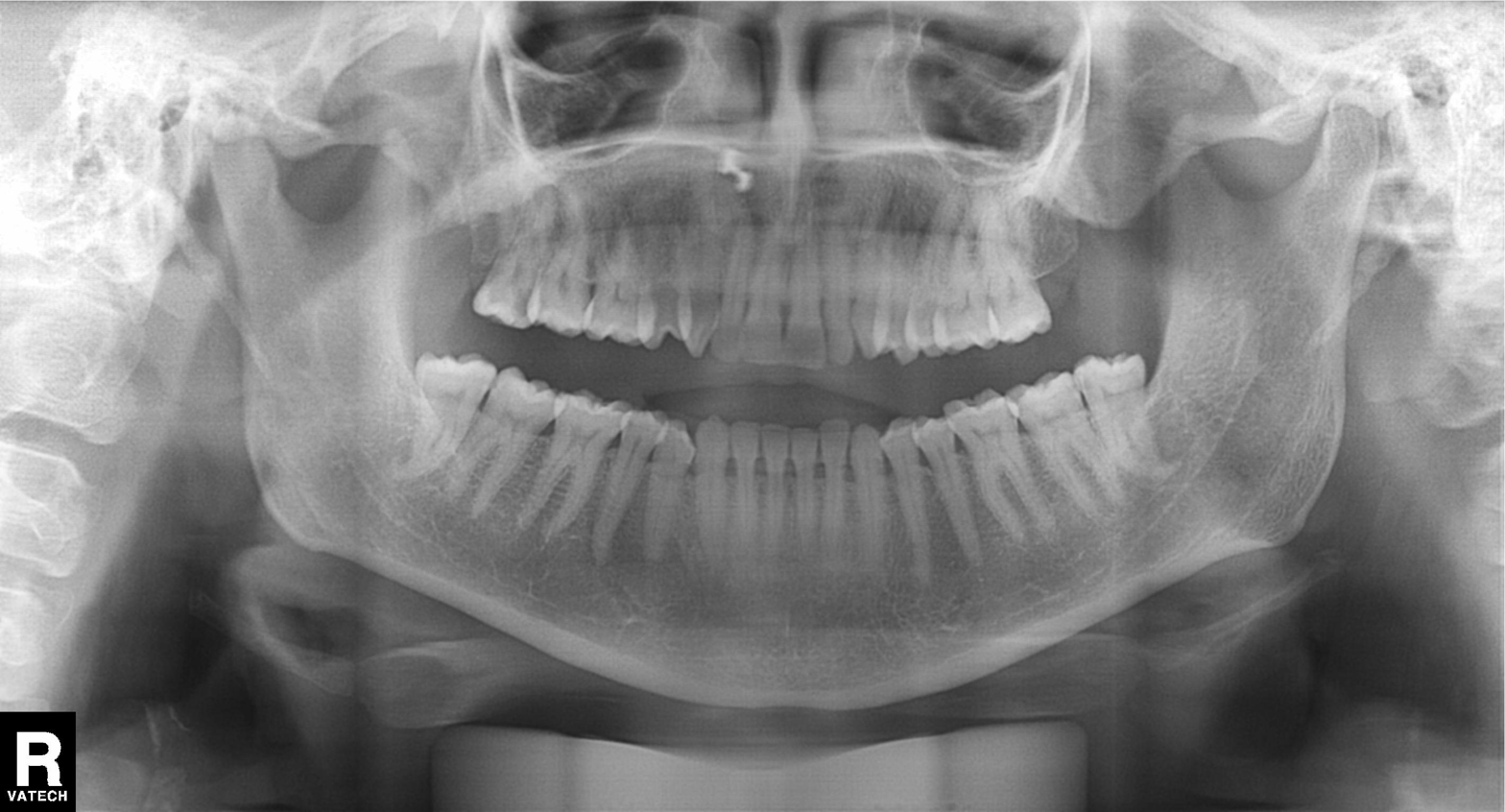
Panoramic dental radiograph (orthopantomogram).
Finding: dental caries (cavities).